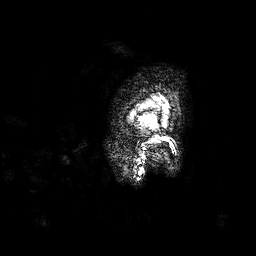
3 Tesla brain MRI. Series: 3D T1-weighted. Study: ring-enhancing brain masses.